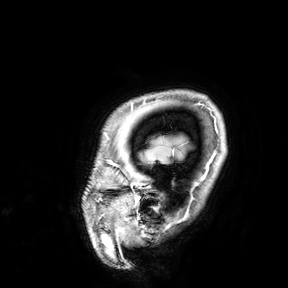
{
  "modality": {
    "type": "brain MRI",
    "field_strength": "3T"
  },
  "study_topic": "ring-enhancing brain masses"
}